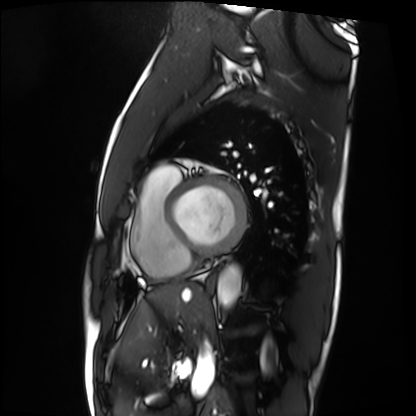
Q: What kind of scan is this?
A: Cardiac MRI.
Subject group: patient.